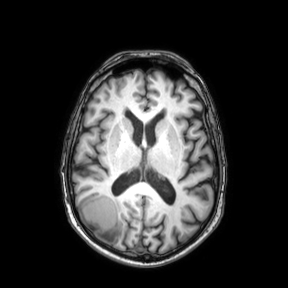
modality: 3 Tesla brain MRI; series: axial; study: ring-enhancing brain masses.